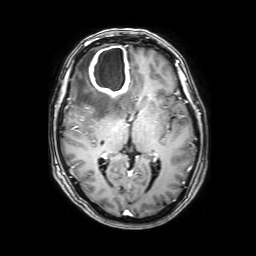
Summary: 3 Tesla brain MRI. Series: 3D T1-weighted with SENSE. Study: ring-enhancing brain masses.